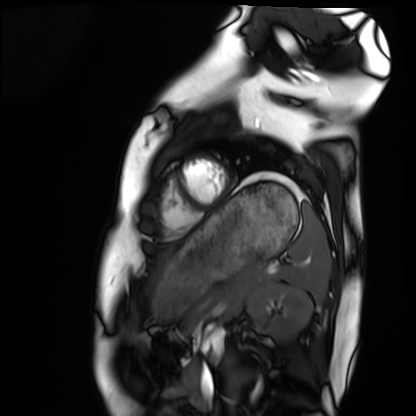
modality: cardiac MRI | subject group: healthy volunteer.